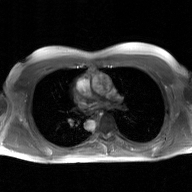
modality: 2D phase-contrast cine MRI of the ascending aorta, GAN super-resolution reconstruction.